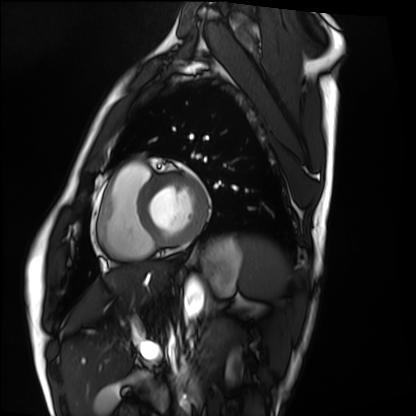
Q: What kind of scan is this?
A: Cardiac MRI.
Subject group: healthy volunteer.